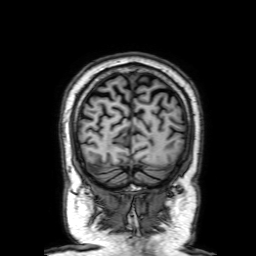
{
  "modality": {
    "type": "brain MRI",
    "field_strength": "3T"
  },
  "series": "3D T1-weighted with SENSE",
  "study_topic": "ring-enhancing brain masses"
}